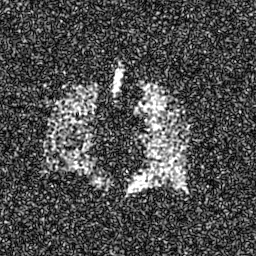
Hyperpolarized 129Xe ventilation MRI of the lungs.
SNR level 8 of 8 (the deposit holds this scan as its native image and as seven SNR-degraded versions).